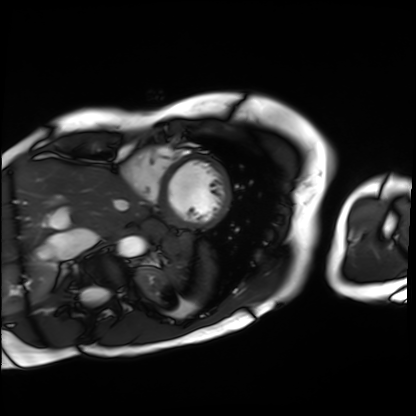
{"modality": "cardiac MRI", "cohort": "patient"}